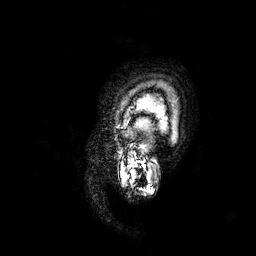
  modality:
    type: brain MRI
    field_strength: 3T
  series: 3D T1-weighted
  study_topic: ring-enhancing brain masses